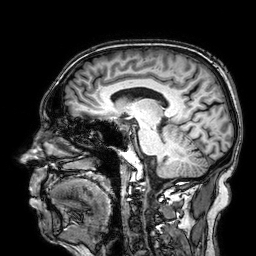
3 Tesla brain MRI.
Series: 3D T1-weighted.
Study: ring-enhancing brain masses.